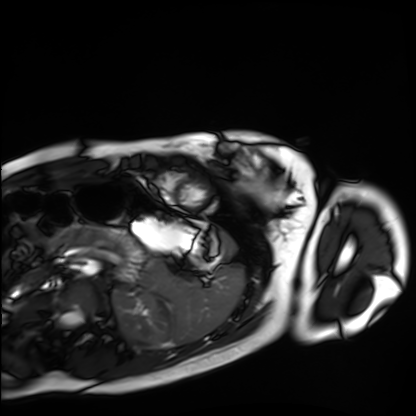
Cardiac MRI.
Subject group: healthy volunteer.